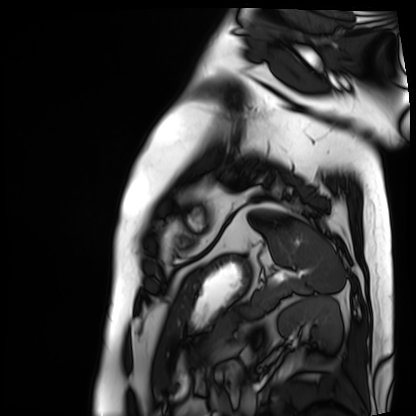
<record>
<modality>cardiac MRI</modality>
<cohort>patient</cohort>
</record>